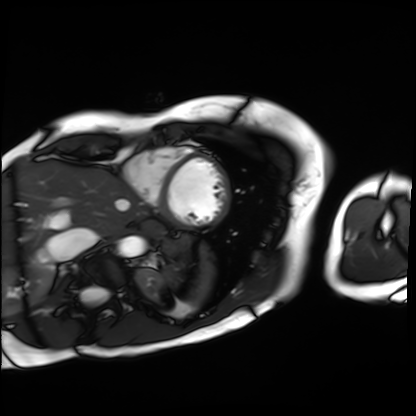
modality = cardiac MRI; subject group = patient.